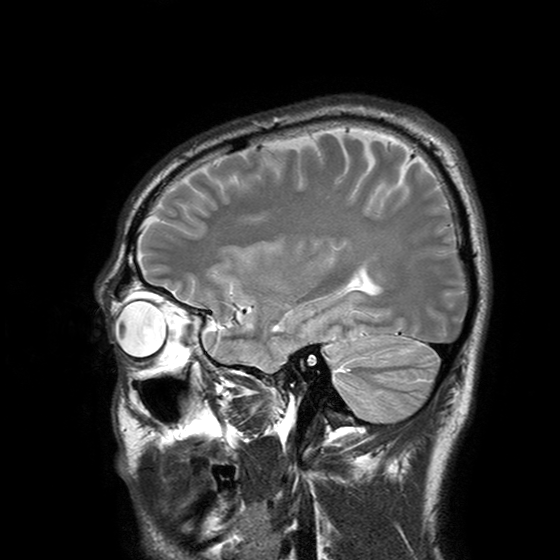
Case summary:
3 Tesla brain MRI. Series: T2-weighted turbo spin echo with SENSE. Study: ring-enhancing brain masses.